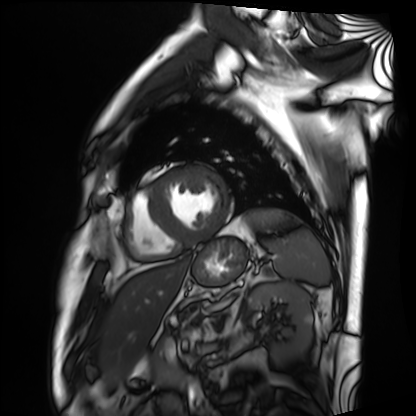
modality: cardiac MRI | subject group: patient.